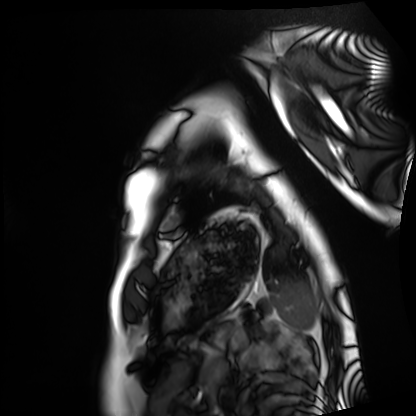
modality: cardiac MRI | subject group: healthy volunteer.